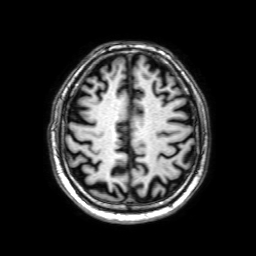
- modality — 3 Tesla brain MRI
- study — ring-enhancing brain masses